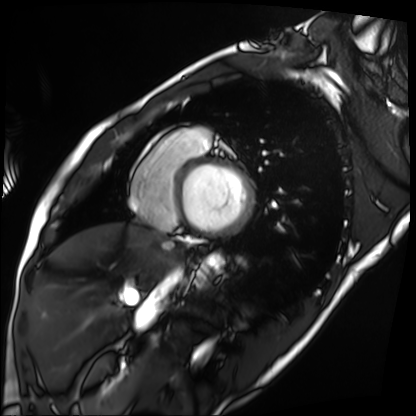
| field | value |
|---|---|
| modality | cardiac MRI |
| subject group | patient |